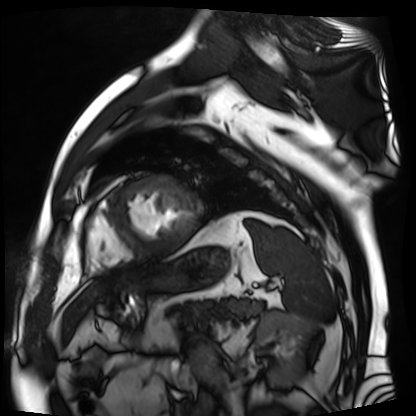
Cardiac MR image of the myocardium. Subject cohort: cardiac patient.